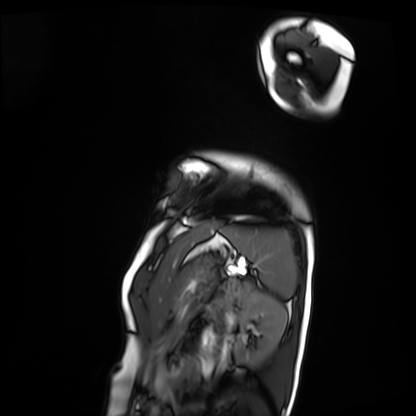
Cardiac MRI.
Subject group: patient.